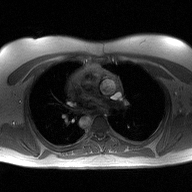
Q: What kind of scan is this?
A: 2D phase-contrast cine MRI of the ascending aorta.